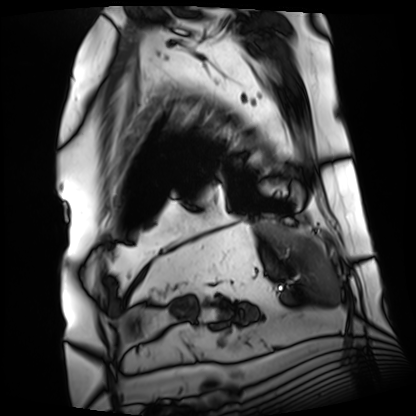
Cardiac MRI.
Subject group: patient.